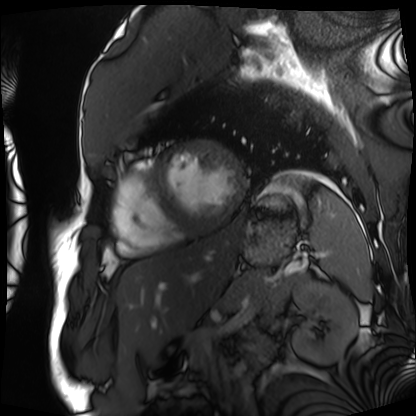
Cardiac MRI. Subject group: patient.